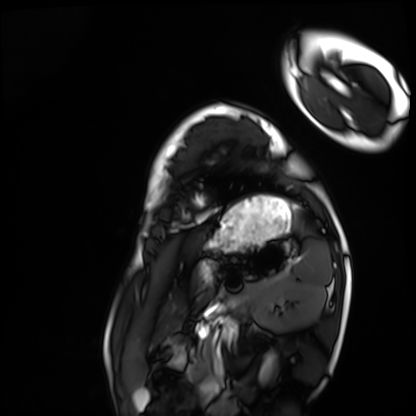
Cardiac MRI. Subject group: healthy volunteer.